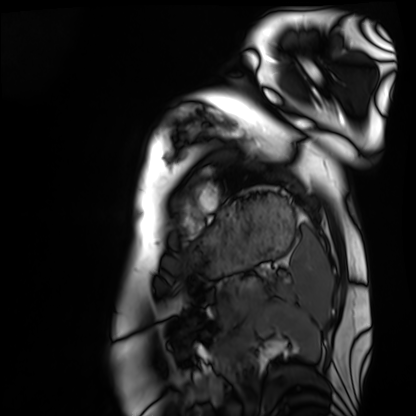
Cardiac MRI. Subject group: healthy volunteer.